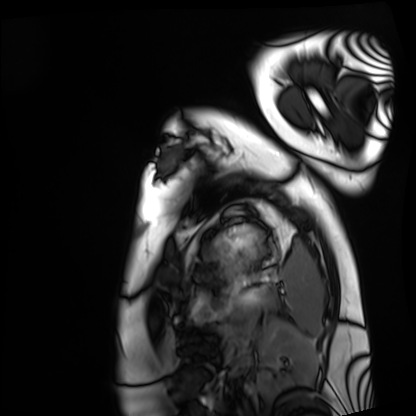
Cardiac MRI. Subject group: healthy volunteer.